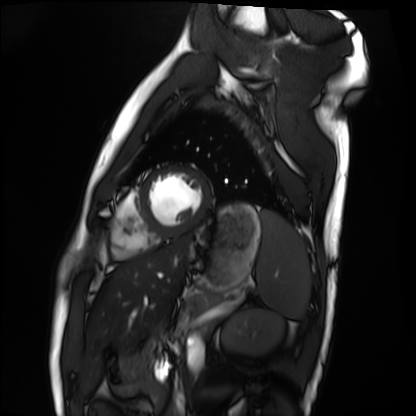
– modality: cardiac MRI
– subject group: healthy volunteer